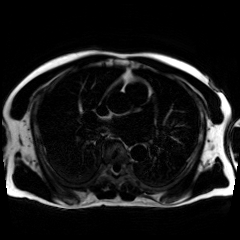
Chemical-shift-encoded cardiac MRI.